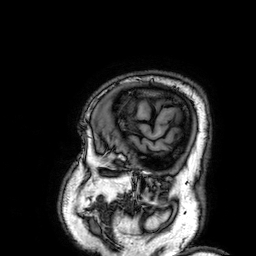
• modality: 3 Tesla brain MRI
• series: 3D T1-weighted
• study: ring-enhancing brain masses